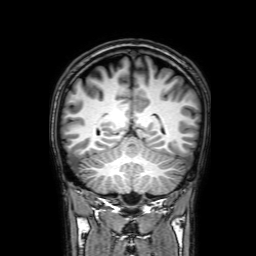
Summary:
3 Tesla brain MRI. Series: 3D T1-weighted with SENSE. Study: ring-enhancing brain masses.